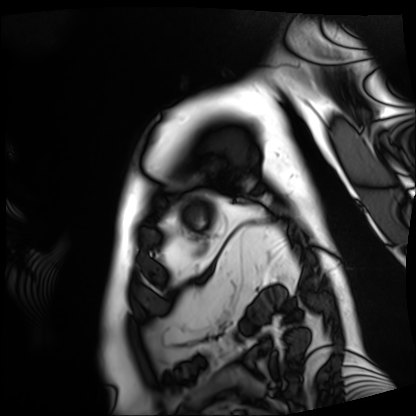
Summary: Cardiac MRI. Subject group: patient.